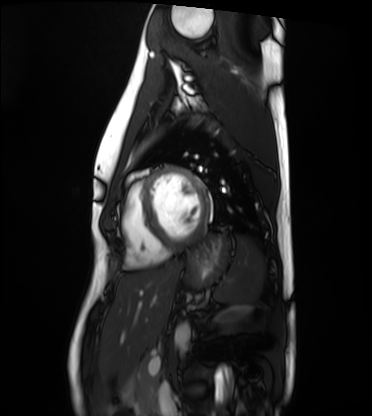
Q: What kind of scan is this?
A: Cardiac MRI.
Subject group: healthy volunteer.